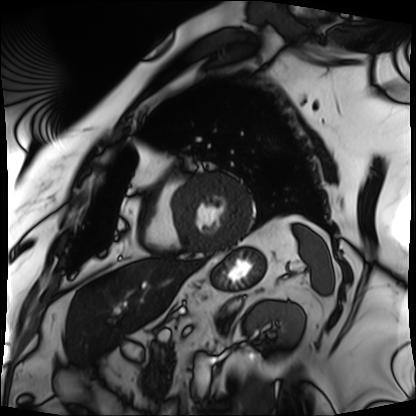
Case:
- modality — cardiac MRI
- subject group — patient